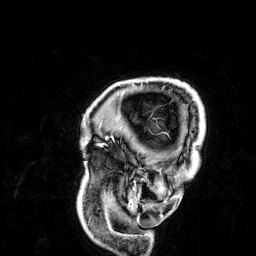
Clinical context:
3 Tesla brain MRI. Study: ring-enhancing brain masses.